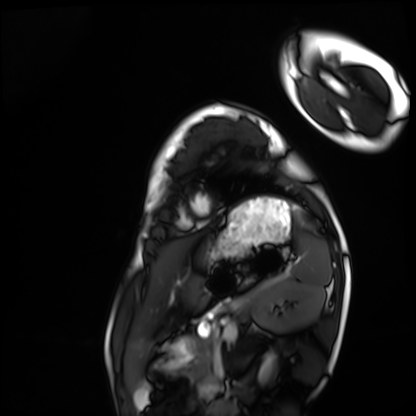
Cardiac MRI.
Subject group: healthy volunteer.